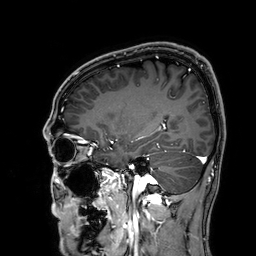
3 Tesla brain MRI. Series: 3D T1-weighted. Study: ring-enhancing brain masses.